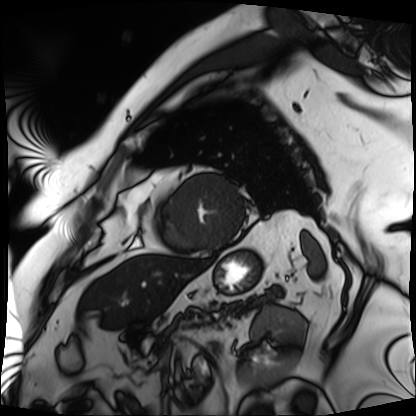
– modality — cardiac MRI
– subject group — patient